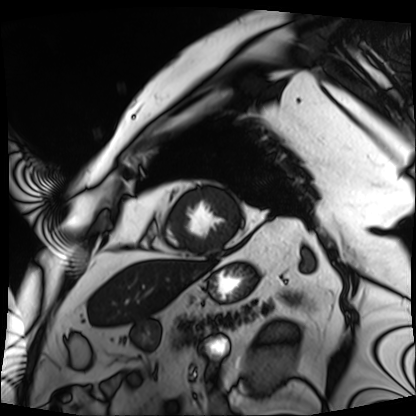
Cardiac MRI. Subject group: patient.